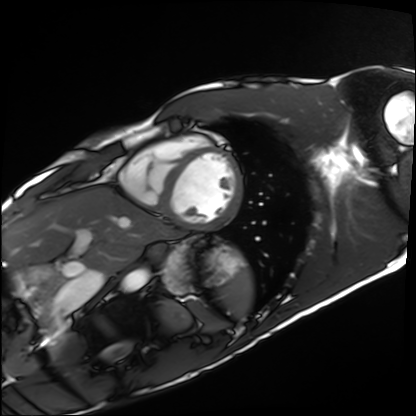
Cardiac MRI. Subject group: healthy volunteer.